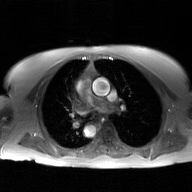
2D phase-contrast cine MRI of the ascending aorta, GAN super-resolution reconstruction.